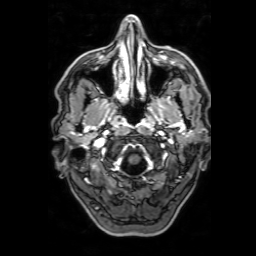
3 Tesla brain MRI. Series: 3D T1-weighted with SENSE. Study: ring-enhancing brain masses.